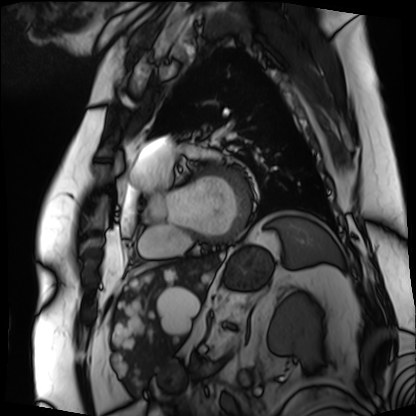
Cardiac MRI. Subject group: patient.